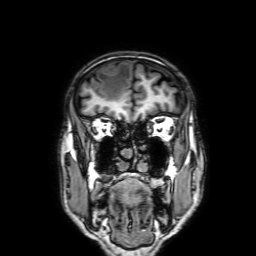
3 Tesla brain MRI.
Series: 3D T1-weighted with SENSE.
Study: ring-enhancing brain masses.